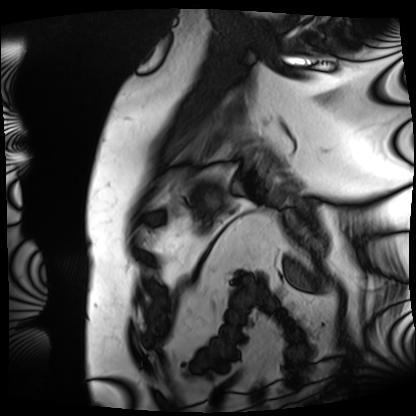
Q: What kind of scan is this?
A: Cardiac MRI.
Subject group: patient.